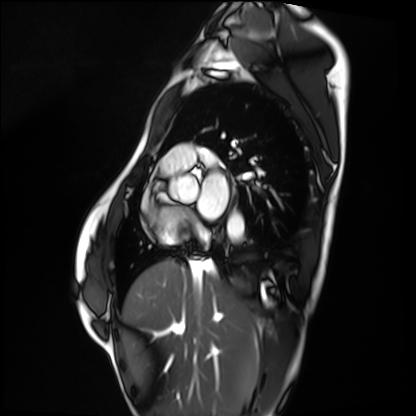
Cardiac MRI. Subject group: healthy volunteer.